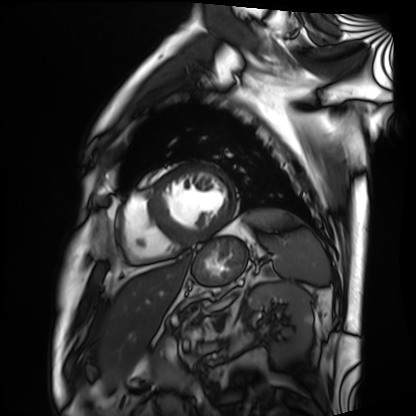
modality: cardiac MRI, subject group: patient.